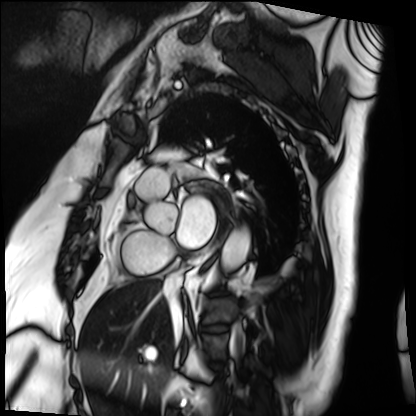
Summary:
Cardiac MRI. Subject group: patient.